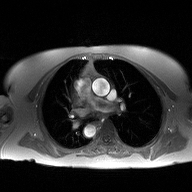
2D phase-contrast cine MRI of the ascending aorta, high-resolution GRAPPA acquisition.